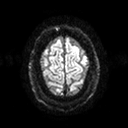
<record>
  <modality>
    <type>brain MRI</type>
    <field_strength>3T</field_strength>
  </modality>
  <study_topic>ring-enhancing brain masses</study_topic>
</record>